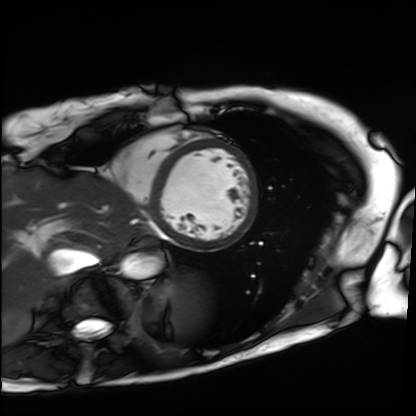
modality: cardiac MRI
subject group: patient